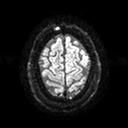
Clinical context: 3 Tesla brain MRI. Series: diffusion tensor imaging (medium iso). Study: ring-enhancing brain masses.